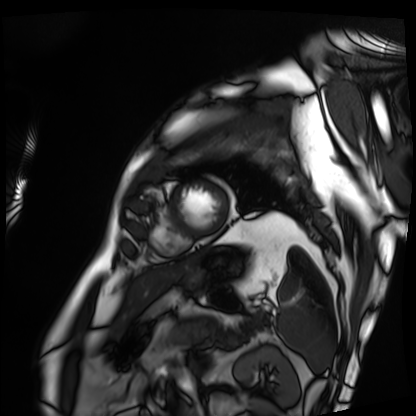
Cardiac MRI.
Subject group: patient.